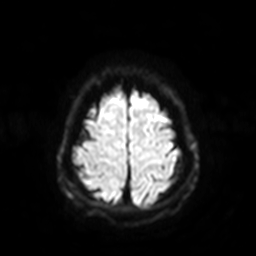
Case:
* modality · 3 Tesla brain MRI
* series · diffusion-weighted imaging with SENSE (WIP)
* study · ring-enhancing brain masses